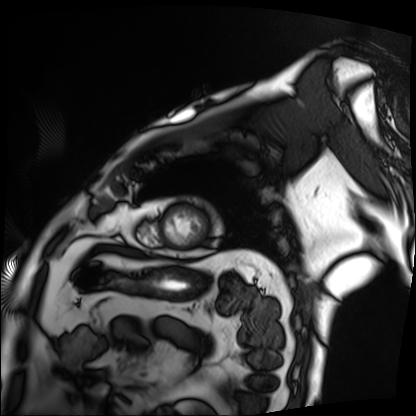
{
  "modality": "cardiac MRI",
  "cohort": "patient"
}